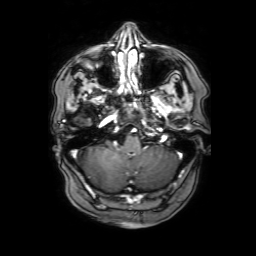
<case>
<modality>
  <type>brain MRI</type>
  <field_strength>3T</field_strength>
</modality>
<series>3D T1-weighted with SENSE</series>
<study_topic>ring-enhancing brain masses</study_topic>
</case>